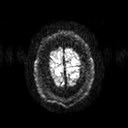
modality: 3 Tesla brain MRI; series: diffusion tensor imaging (medium iso); study: ring-enhancing brain masses.